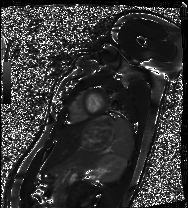
Cardiac MRI. Subject group: healthy volunteer.